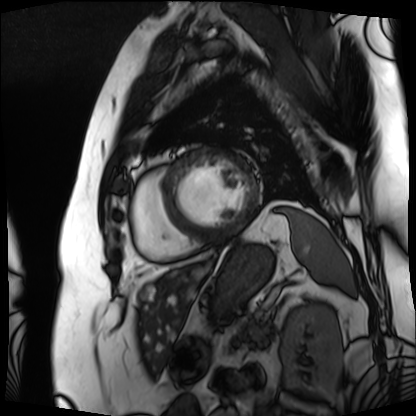
modality = cardiac MRI
subject group = patient